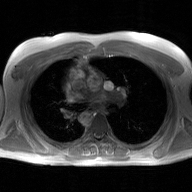
Summary: 2D phase-contrast cine MRI of the ascending aorta, GAN super-resolution reconstruction.